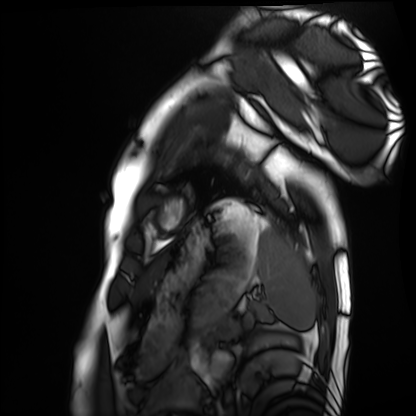
Cardiac MRI.
Subject group: healthy volunteer.